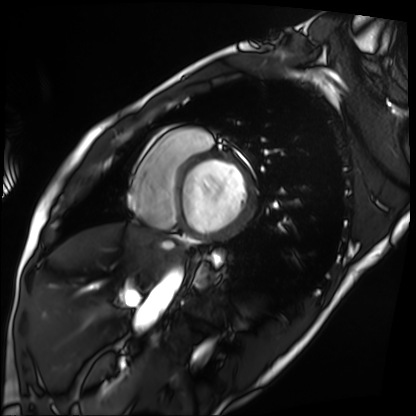
Case summary:
Cardiac MRI. Subject group: patient.